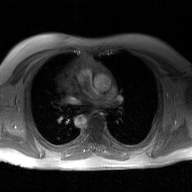
{
  "modality": {
    "type": "2D phase-contrast cine MRI",
    "region": "ascending aorta",
    "reconstruction": "GAN super-resolution reconstruction"
  }
}